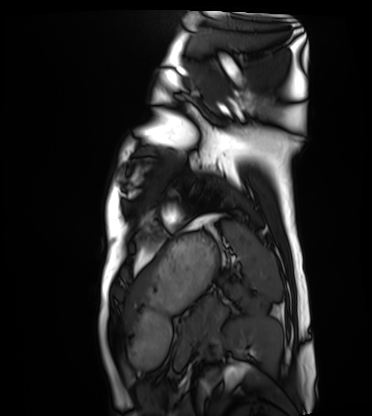
modality: cardiac MRI
cohort: healthy volunteer